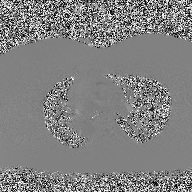
Summary:
2D phase-contrast cine MRI of the ascending aorta, high-resolution GRAPPA acquisition.